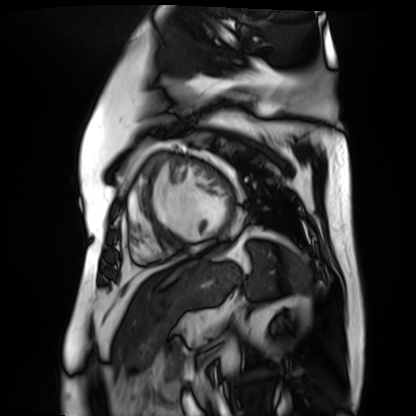
Summary:
Cardiac MR image of the myocardium. Subject cohort: cardiac patient.